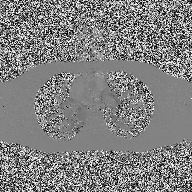
- modality · 2D phase-contrast cine MRI of the ascending aorta